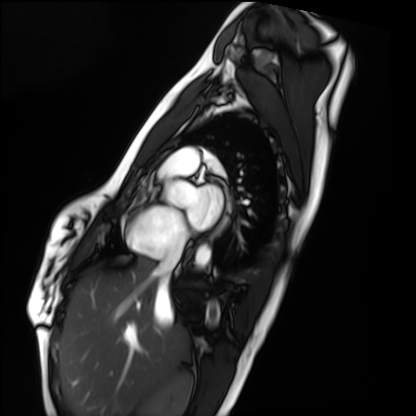
Q: What kind of scan is this?
A: Cardiac MRI.
Subject group: healthy volunteer.